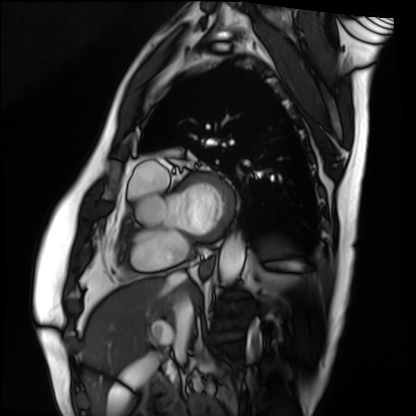
Q: What kind of scan is this?
A: Cardiac MRI.
Subject group: patient.